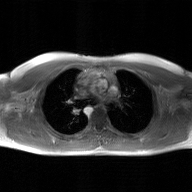
– modality · 2D phase-contrast cine MRI of the ascending aorta, GAN super-resolution reconstruction